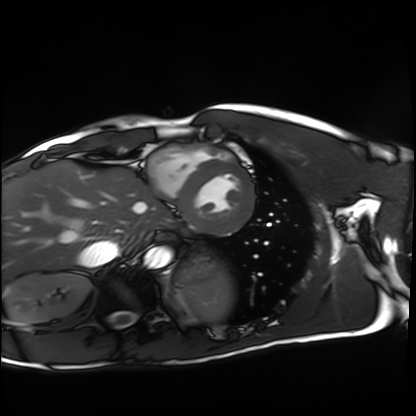
modality = cardiac MRI; subject group = healthy volunteer.